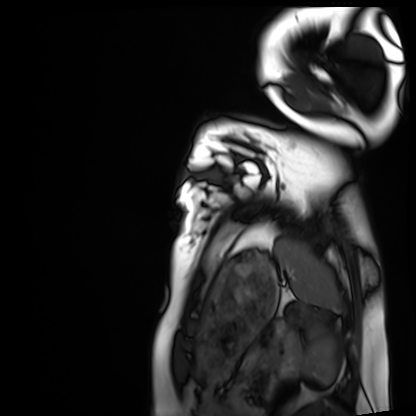
Case summary: Cardiac MRI. Subject group: healthy volunteer.